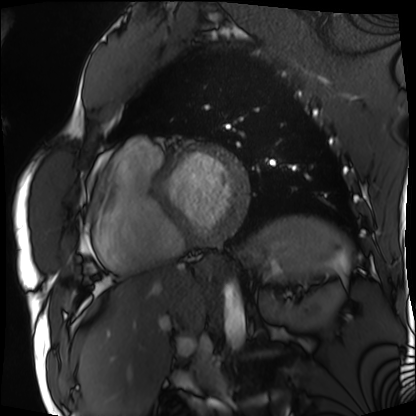
Cardiac MRI. Subject group: patient.